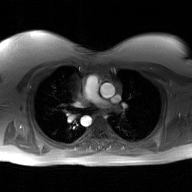
Q: What kind of scan is this?
A: 2D phase-contrast cine MRI of the ascending aorta, GAN super-resolution reconstruction.